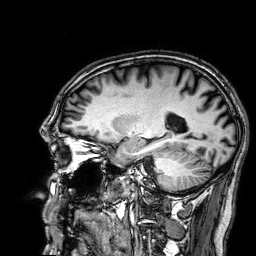
3 Tesla brain MRI. Series: 3D T1-weighted. Study: ring-enhancing brain masses.